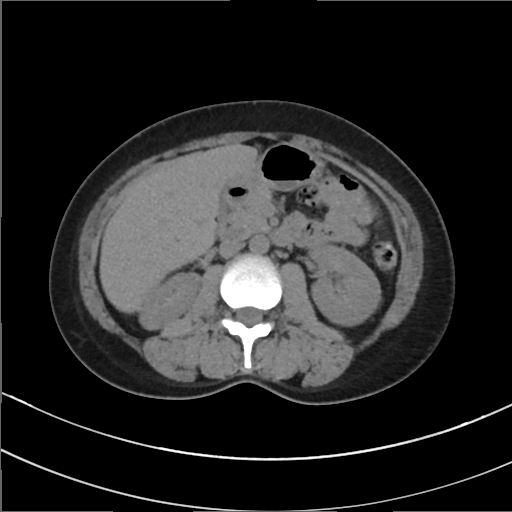
Multiphase abdominal CT, liver, non-contrast phase. Patient: female, age 41. History: prior chemotherapy.